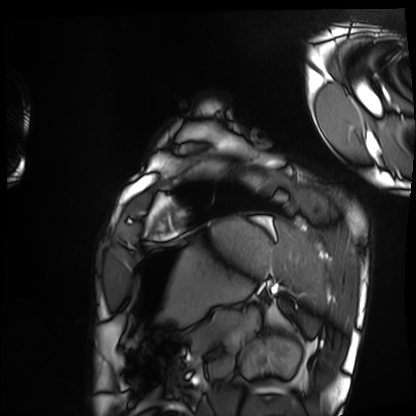
Cardiac MRI.
Subject group: healthy volunteer.